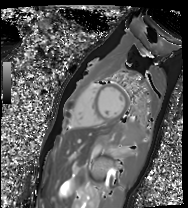
Case:
- modality: cardiac MR image of the myocardium
- subject cohort: healthy volunteer